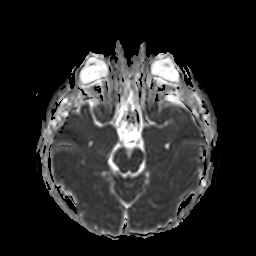
3 Tesla brain MRI. Series: apparent diffusion coefficient (ADC) map. Study: ring-enhancing brain masses.